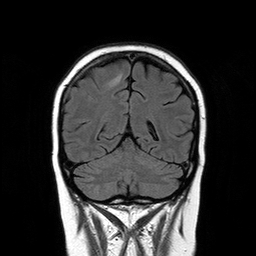
3 Tesla brain MRI. Series: T2-weighted FLAIR. Study: ring-enhancing brain masses.